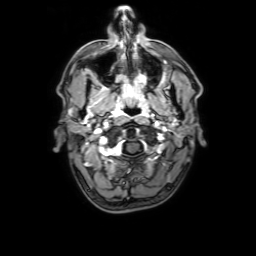
<case>
<modality>
  <type>brain MRI</type>
  <field_strength>3T</field_strength>
</modality>
<series>3D T1-weighted with SENSE</series>
<study_topic>ring-enhancing brain masses</study_topic>
</case>